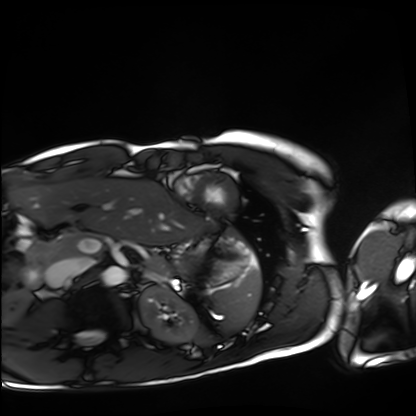
modality = cardiac MRI | subject group = healthy volunteer.